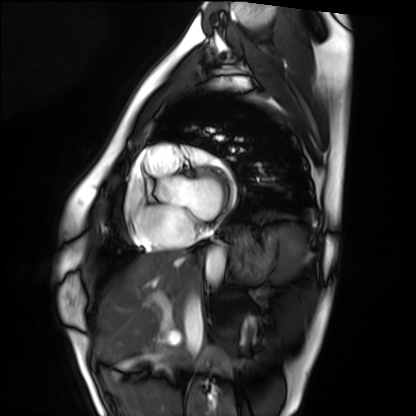
modality = cardiac MRI, subject group = healthy volunteer.